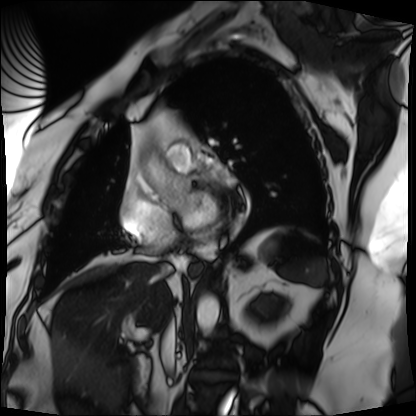
Cardiac MRI.
Subject group: patient.